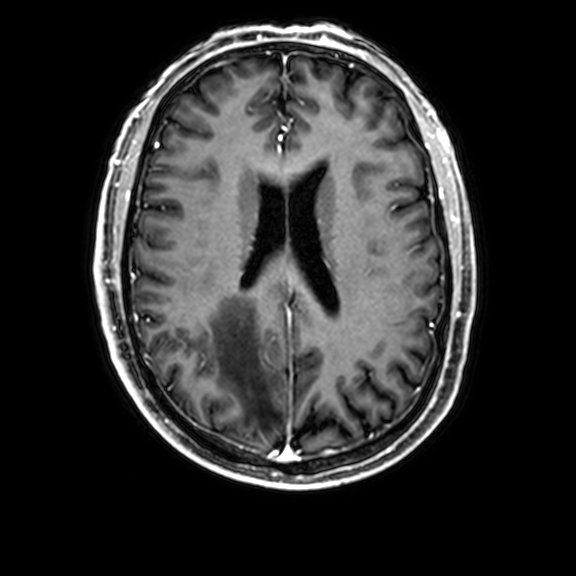
Q: What kind of scan is this?
A: 3 Tesla brain MRI.
Q: Series?
A: 3D T1-weighted with CLEAR.
Study: ring-enhancing brain masses.